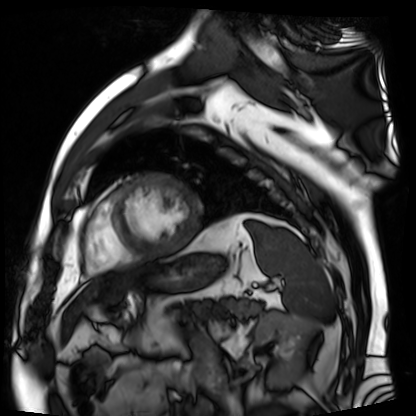
{"modality": "cardiac MR image of the myocardium", "cohort": "cardiac patient"}